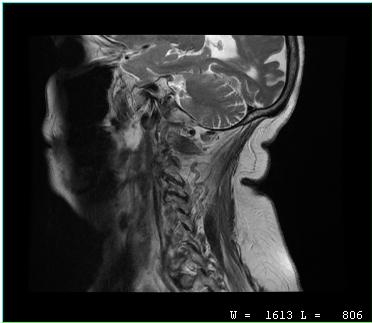
modality: MRI of the cervical spine; study: cervical spondylosis.